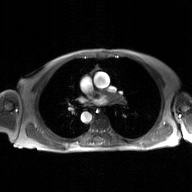
<scan>
<modality>
  <type>2D phase-contrast cine MRI</type>
  <region>ascending aorta</region>
  <reconstruction>GAN super-resolution reconstruction</reconstruction>
</modality>
</scan>